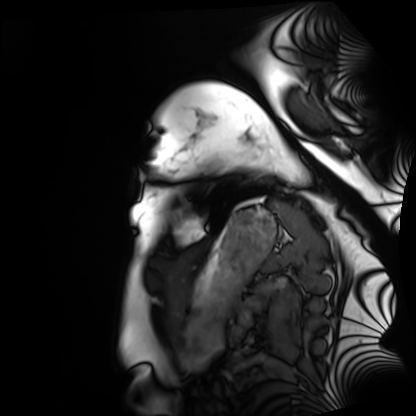
Case:
– modality — cardiac MRI
– subject group — healthy volunteer